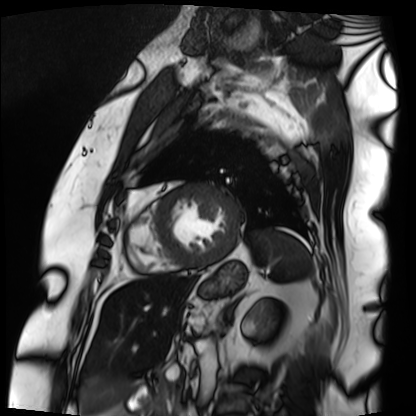
modality=cardiac MRI | subject group=patient.